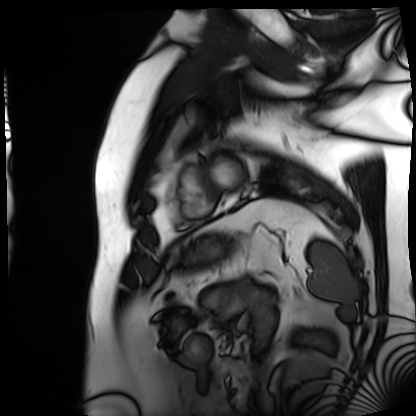
modality: cardiac MRI; subject group: patient.